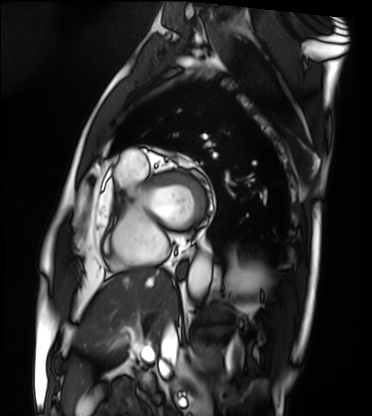
<record>
<modality>cardiac MRI</modality>
<cohort>patient</cohort>
</record>